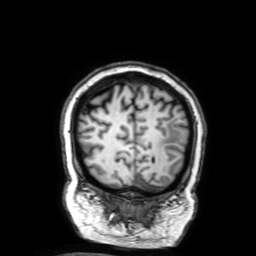
3 Tesla brain MRI. Series: 3D T1-weighted with SENSE. Study: ring-enhancing brain masses.